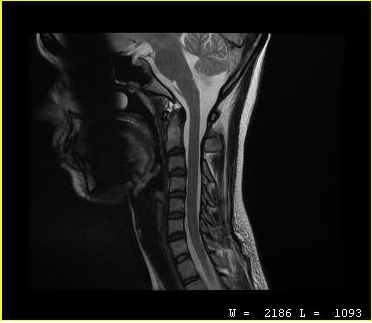
MRI of the cervical spine.
Study: cervical spondylosis.